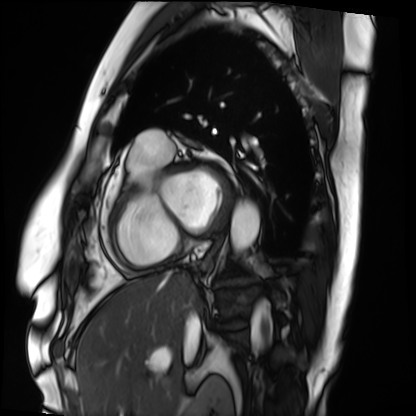
modality — cardiac MRI
subject group — patient